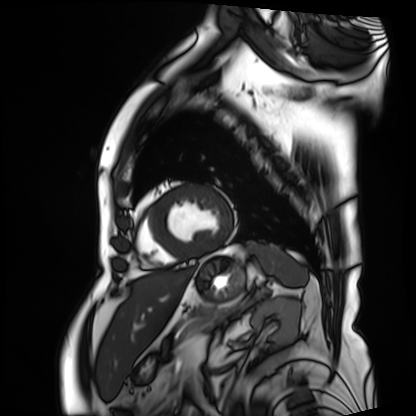
* modality: cardiac MRI
* subject group: patient